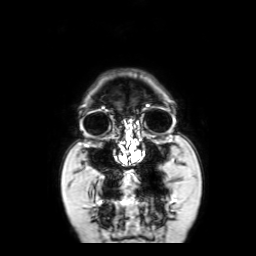
Q: What kind of scan is this?
A: 3 Tesla brain MRI.
Q: Series?
A: Coronal with contrast.
Study: ring-enhancing brain masses.